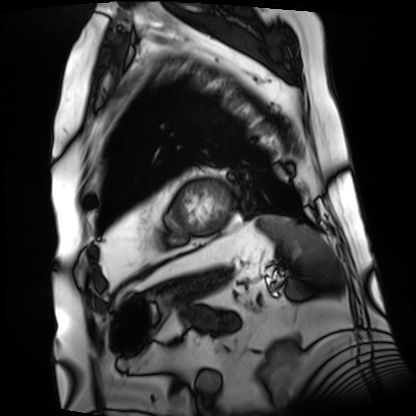
Cardiac MRI. Subject group: patient.